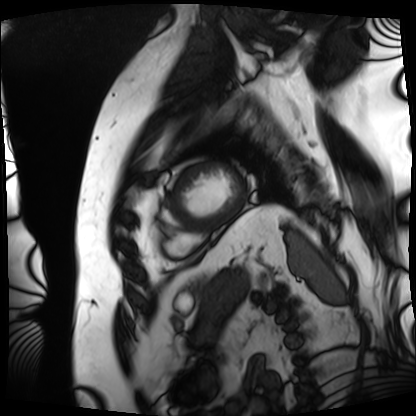
Cardiac MRI.
Subject group: patient.